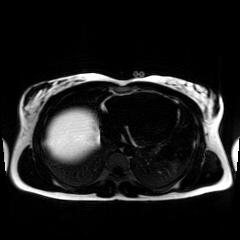
<record>
<modality>chemical-shift-encoded cardiac MRI</modality>
</record>